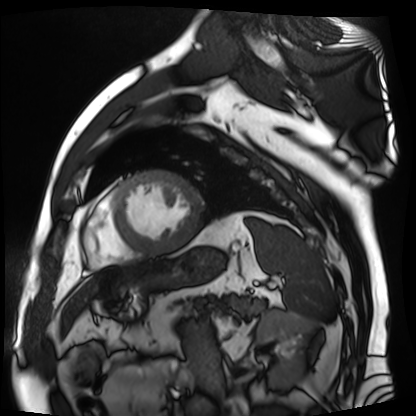
modality=cardiac MR image of the myocardium; subject cohort=cardiac patient.